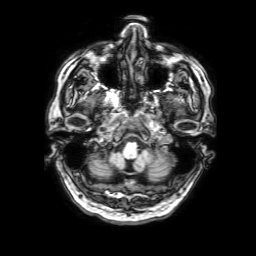
Summary:
3 Tesla brain MRI. Study: ring-enhancing brain masses.